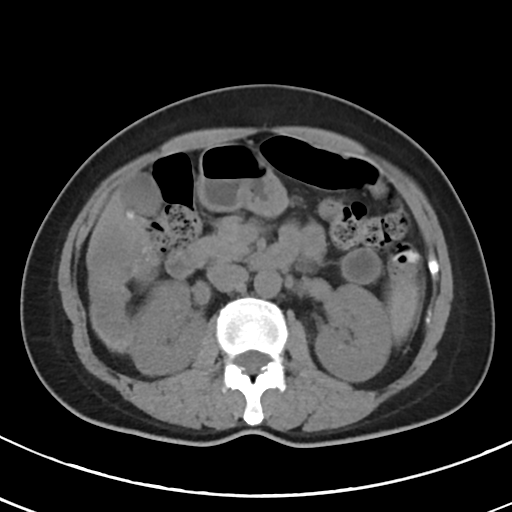
Case:
- modality · multiphase abdominal CT, liver, non-contrast phase